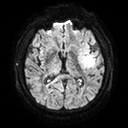
| field | value |
|---|---|
| modality | 3 Tesla brain MRI |
| series | diffusion tensor imaging (medium iso) |
| study | ring-enhancing brain masses |